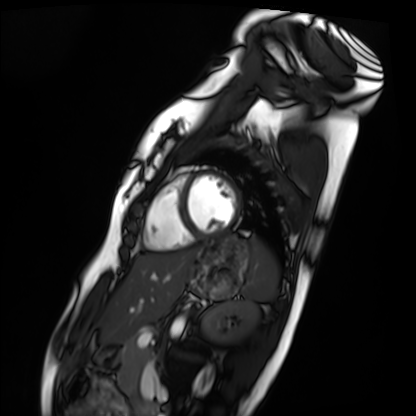
<record>
<modality>cardiac MRI</modality>
<cohort>healthy volunteer</cohort>
</record>